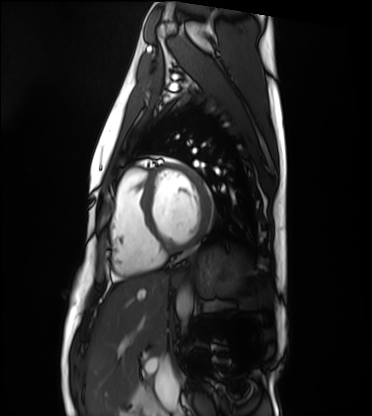
* modality — cardiac MRI
* subject group — healthy volunteer